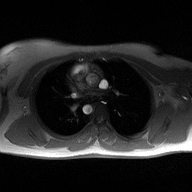
• modality: 2D phase-contrast cine MRI of the ascending aorta